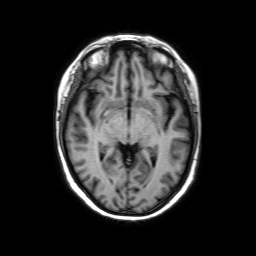
3 Tesla brain MRI. Series: axial without contrast. Study: ring-enhancing brain masses.